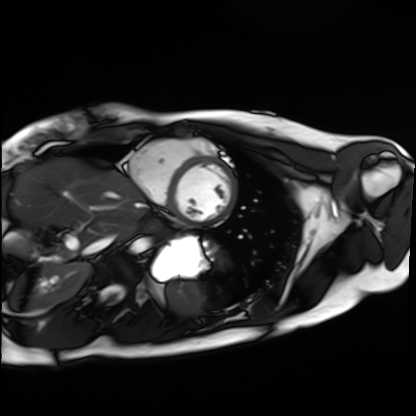
Summary:
Cardiac MRI. Subject group: healthy volunteer.